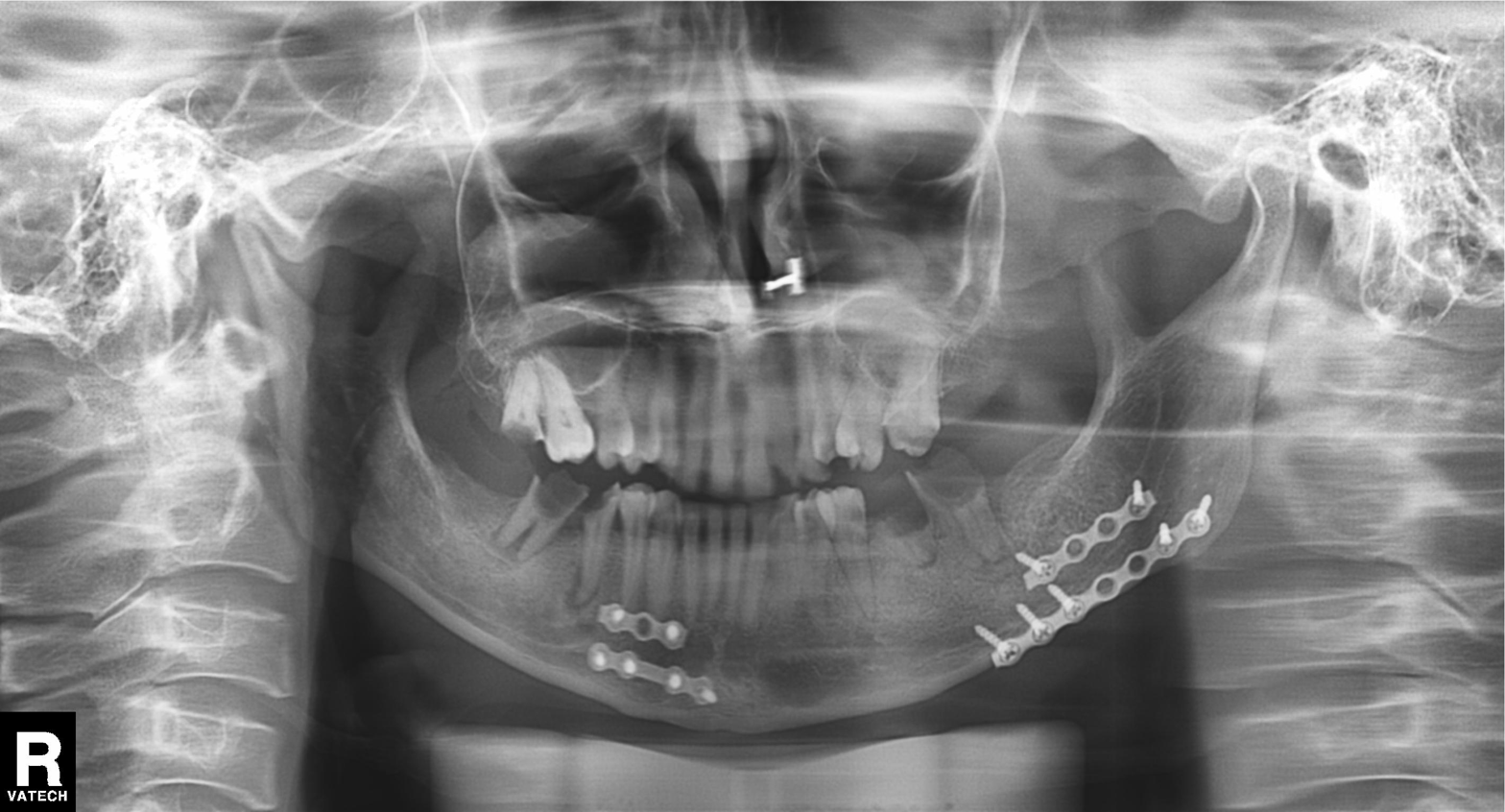
<scan>
  <modality>panoramic dental radiograph (orthopantomogram)</modality>
  <finding>dental caries (cavities)</finding>
</scan>